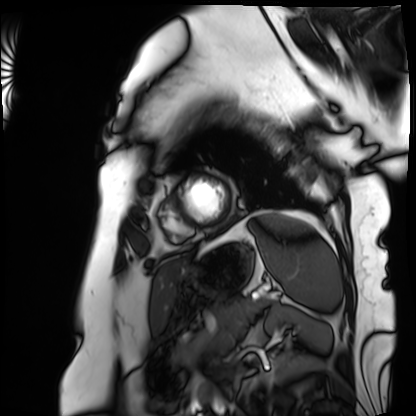
{"modality": "cardiac MRI", "cohort": "patient"}